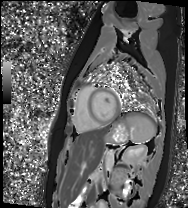
| field | value |
|---|---|
| modality | cardiac MR image of the myocardium |
| subject cohort | healthy volunteer |